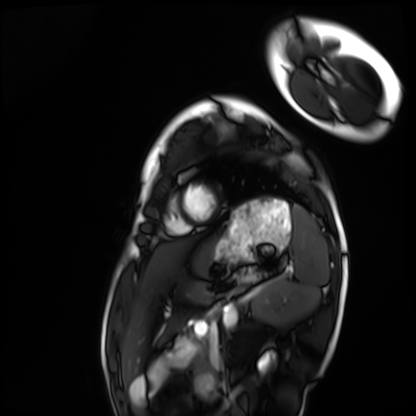
Cardiac MRI.
Subject group: healthy volunteer.